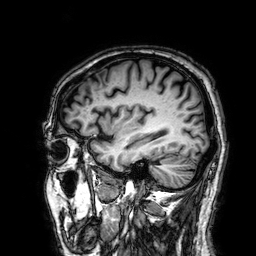
modality = 3 Tesla brain MRI | series = 3D T1-weighted | study = ring-enhancing brain masses.